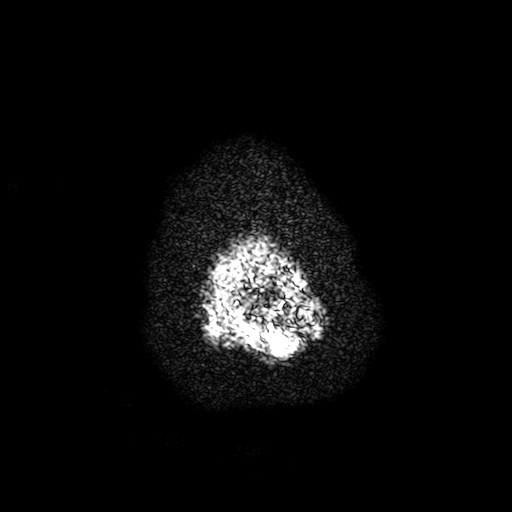
* modality: 3 Tesla brain MRI
* series: T2-weighted fast field echo with SENSE
* study: ring-enhancing brain masses